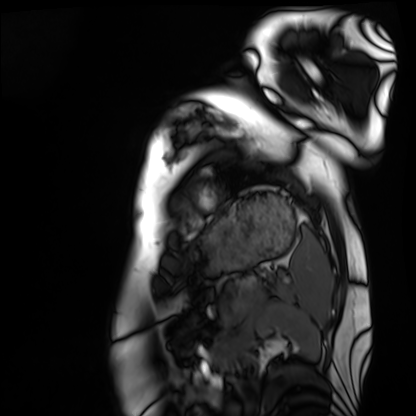
Cardiac MRI. Subject group: healthy volunteer.